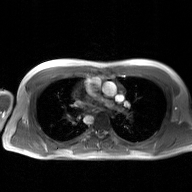
Q: What kind of scan is this?
A: 2D phase-contrast cine MRI of the ascending aorta, GAN super-resolution reconstruction.